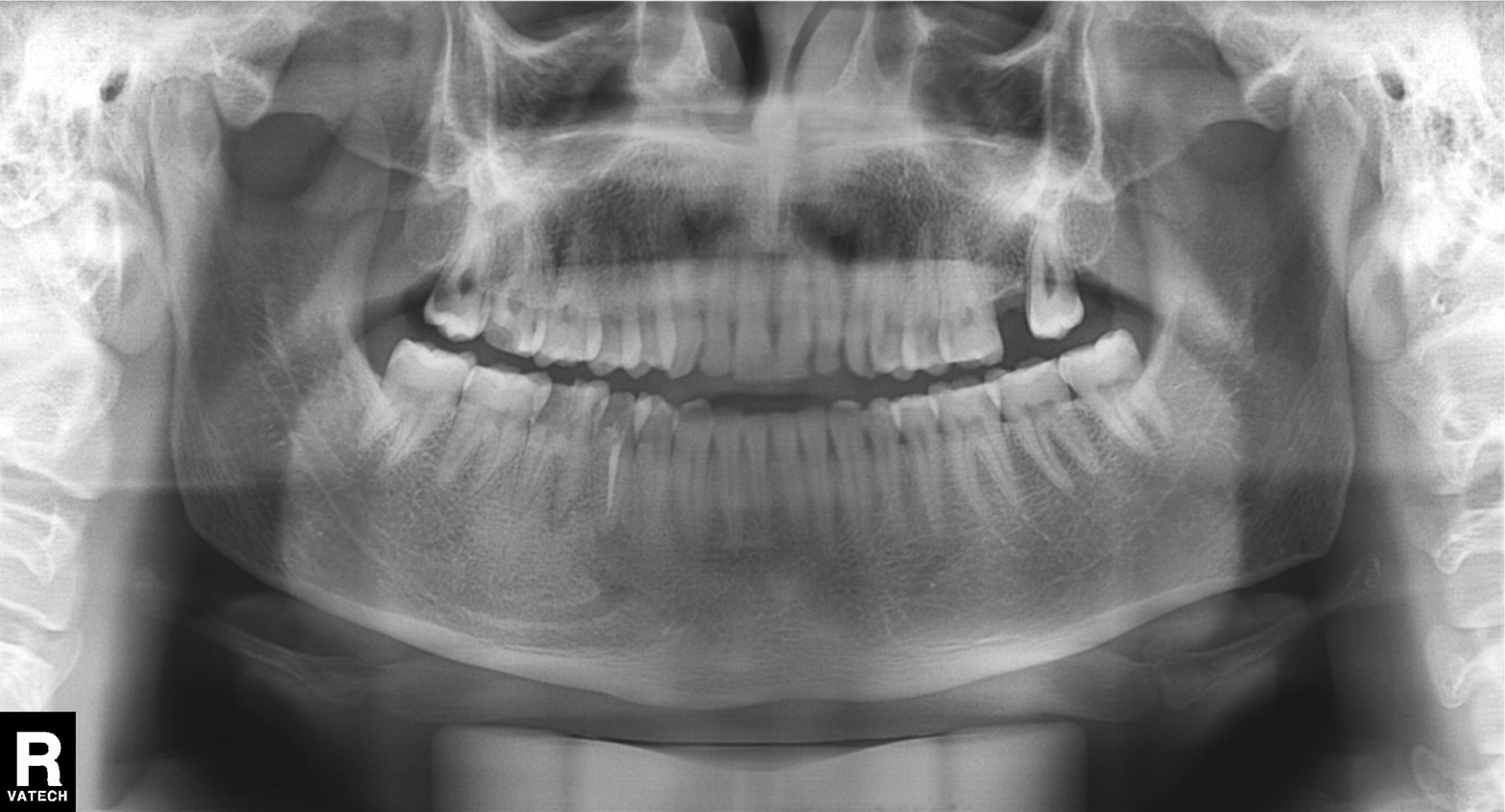
| feature | finding |
|---|---|
| modality | panoramic dental radiograph (orthopantomogram) |
| finding | tooth impaction |